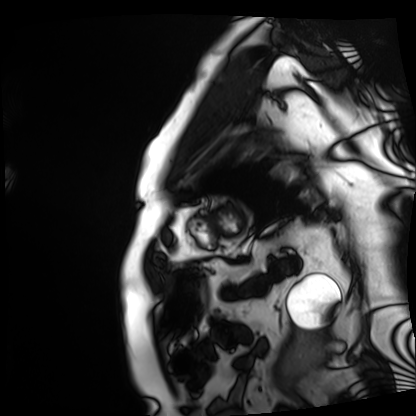
modality: cardiac MRI | subject group: patient.